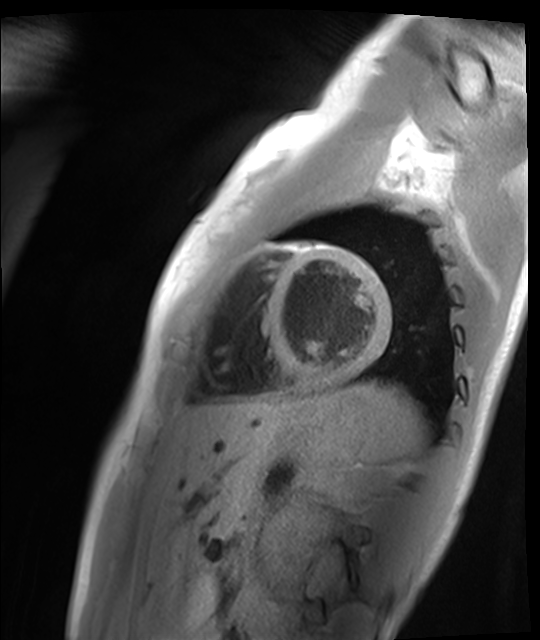
Case summary:
Cardiac MR image of the myocardium. Subject cohort: healthy volunteer.